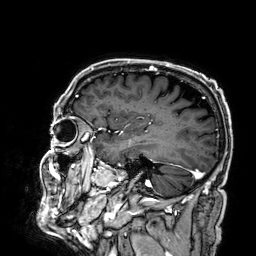
3 Tesla brain MRI. Series: 3D T1-weighted. Study: ring-enhancing brain masses.